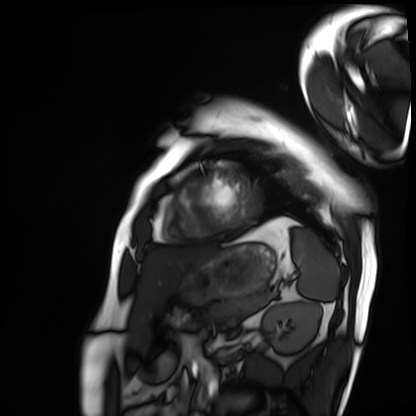
{"modality": "cardiac MRI", "cohort": "patient"}